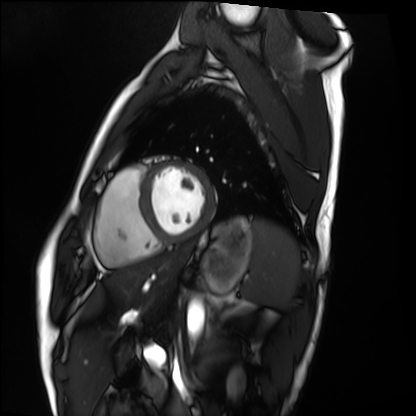
Clinical context:
Cardiac MRI. Subject group: healthy volunteer.